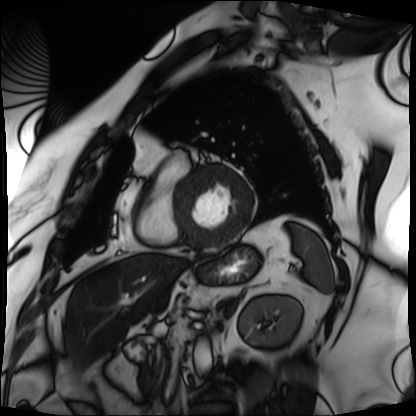
– modality · cardiac MRI
– subject group · patient